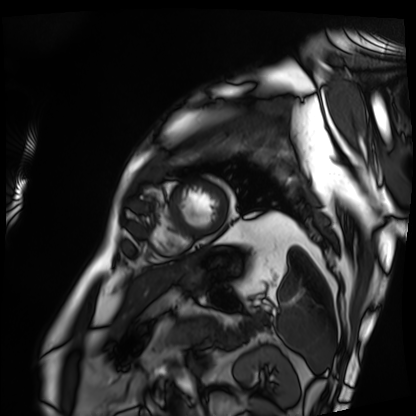
| field | value |
|---|---|
| modality | cardiac MRI |
| subject group | patient |